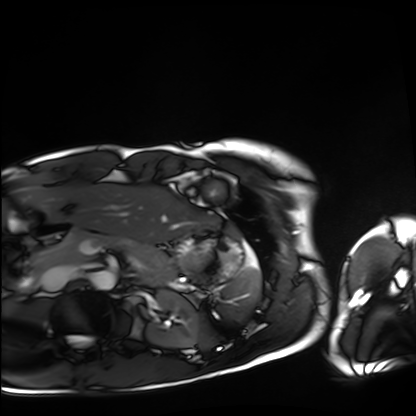
• modality — cardiac MRI
• subject group — healthy volunteer